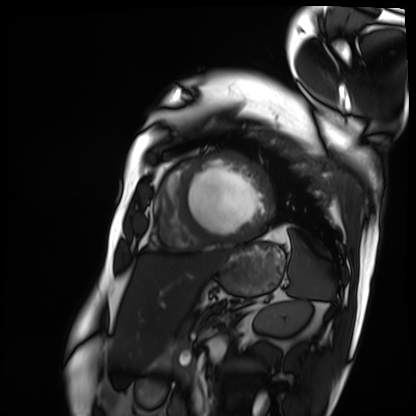
{
  "modality": "cardiac MRI",
  "cohort": "patient"
}